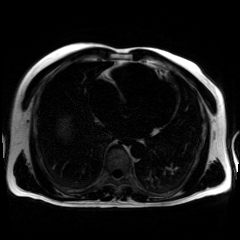
Chemical-shift-encoded cardiac MRI.